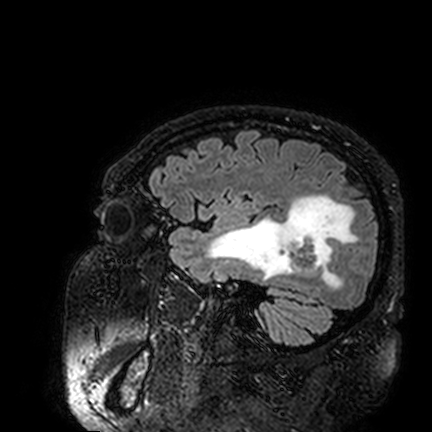
  modality:
    type: brain MRI
    field_strength: 3T
  series: FLAIR VISTA
  study_topic: ring-enhancing brain masses